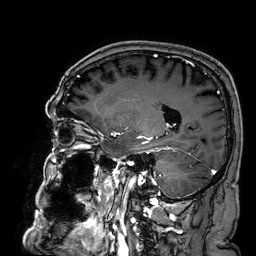
3 Tesla brain MRI. Series: 3D T1-weighted. Study: ring-enhancing brain masses.